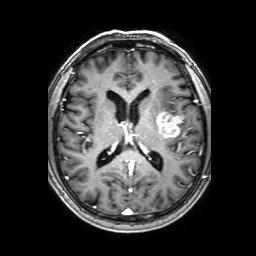
Q: What kind of scan is this?
A: 3 Tesla brain MRI.
Q: Series?
A: 3D T1-weighted with SENSE.
Study: ring-enhancing brain masses.